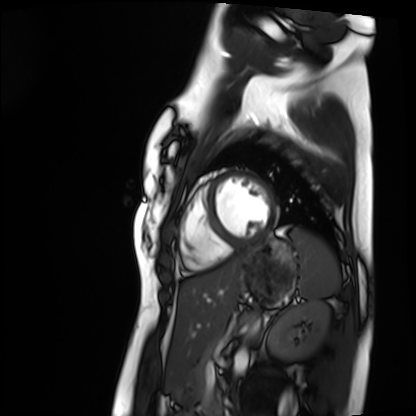
Cardiac MRI. Subject group: healthy volunteer.